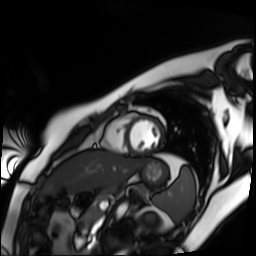
Cardiac MR image of the myocardium.
Subject cohort: healthy volunteer.